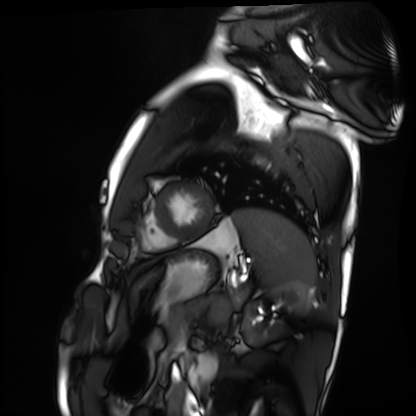
{"modality": "cardiac MRI", "cohort": "healthy volunteer"}